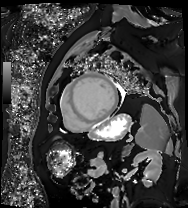
Clinical context:
Cardiac MRI. Subject group: patient.